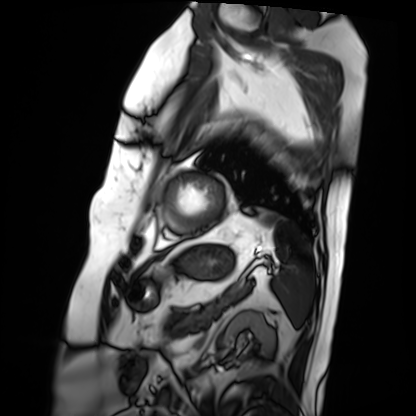
Case:
– modality — cardiac MRI
– subject group — patient